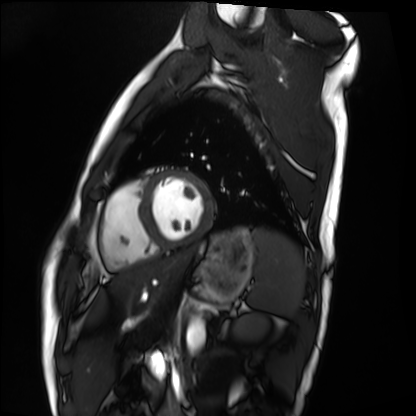
Cardiac MRI.
Subject group: healthy volunteer.